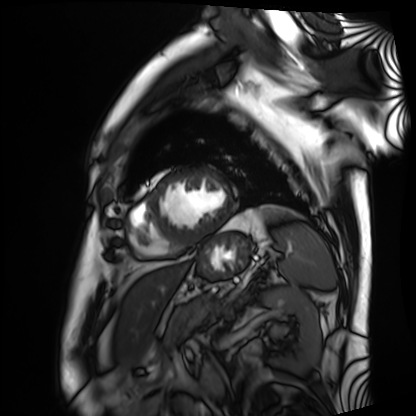
Q: What kind of scan is this?
A: Cardiac MRI.
Subject group: patient.